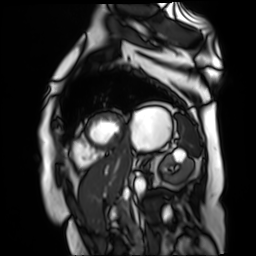
Cardiac MR image of the myocardium. Subject cohort: cardiac patient.